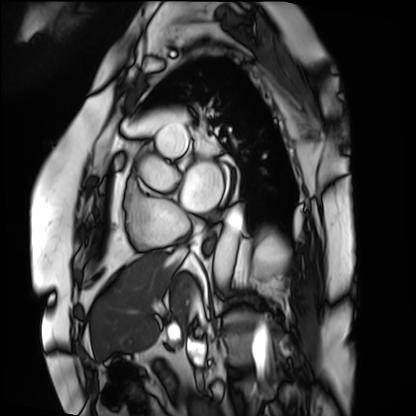
Cardiac MRI.
Subject group: patient.